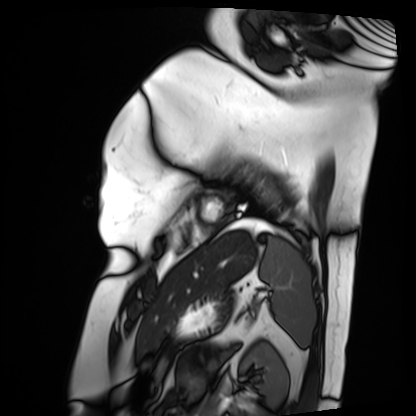
Cardiac MRI. Subject group: patient.